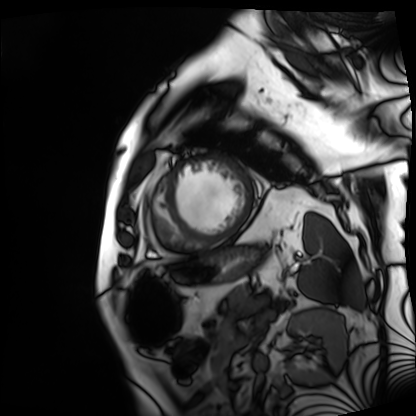
Cardiac MRI. Subject group: patient.